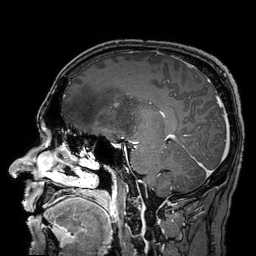
  modality:
    type: brain MRI
    field_strength: 3T
  series: 3D T1-weighted turbo field echo with SENSE
  study_topic: ring-enhancing brain masses